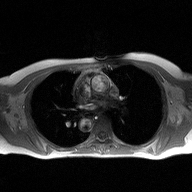
2D phase-contrast cine MRI of the ascending aorta, high-resolution GRAPPA acquisition.